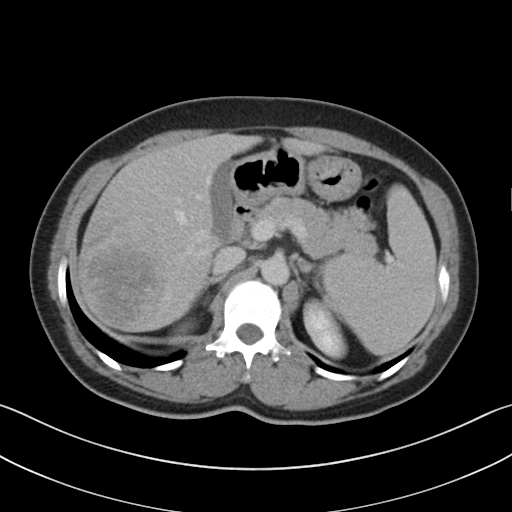
modality = multiphase abdominal CT, liver, delayed phase
patient = female, age 48